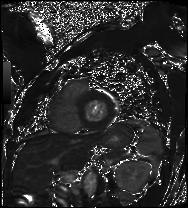
Case summary:
Cardiac MRI. Subject group: patient.